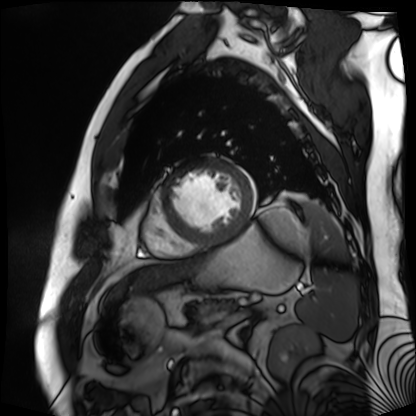
Cardiac MR image of the myocardium. Subject cohort: cardiac patient.